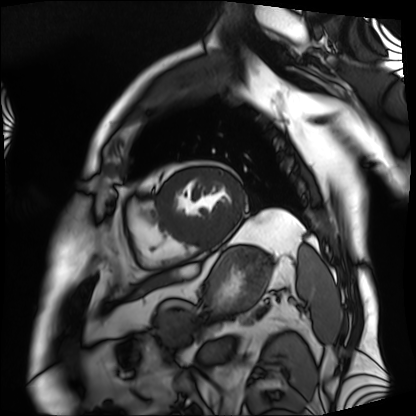
Cardiac MRI. Subject group: patient.